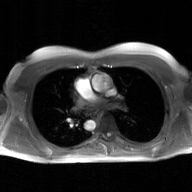
* modality: 2D phase-contrast cine MRI of the ascending aorta, GAN super-resolution reconstruction